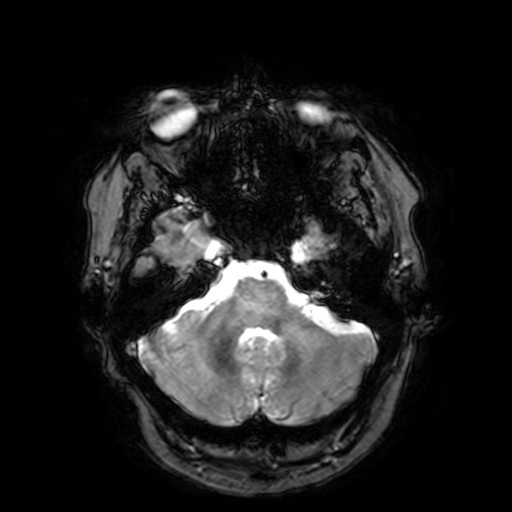
• modality — 3 Tesla brain MRI
• series — T2-weighted fast field echo with SENSE
• study — ring-enhancing brain masses